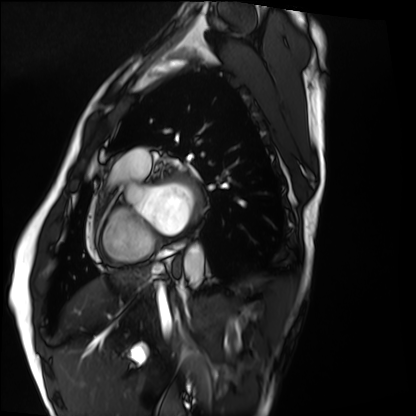
modality: cardiac MRI
subject group: healthy volunteer